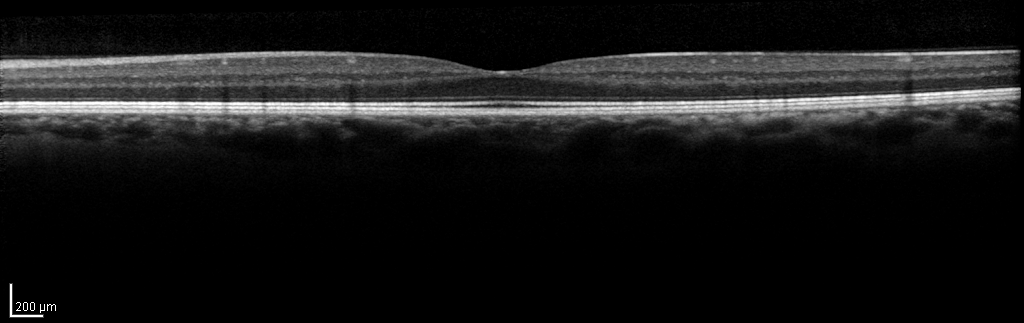
Clinical context: Spectral-domain optical coherence tomography (SD-OCT) of the macula. Subject: male, age 43, left eye. Cohort: non-diabetic control. ETDRS-grid retinal thickness (μm): central 314, inner temporal 354, inner nasal 364, inner superior 369, inner inferior 360, outer temporal 306, outer nasal 327, outer superior 311, outer inferior 304.